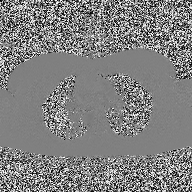
Case summary:
2D phase-contrast cine MRI of the ascending aorta, high-resolution GRAPPA acquisition.